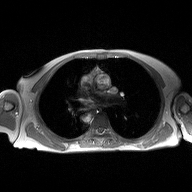
  modality:
    type: 2D phase-contrast cine MRI
    region: ascending aorta
    reconstruction: high-resolution GRAPPA acquisition